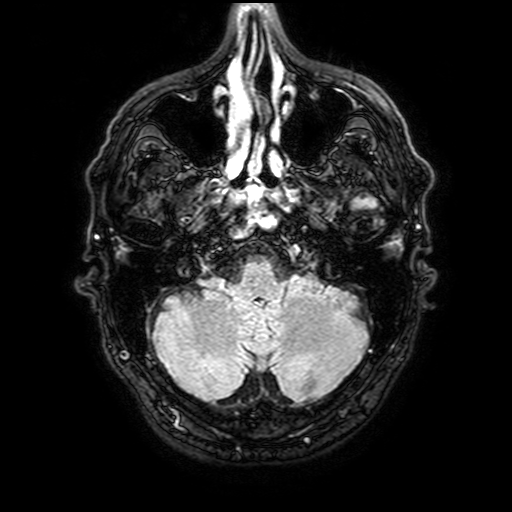
| field | value |
|---|---|
| modality | 3 Tesla brain MRI |
| series | FLAIR with SPAIR, 3 mm |
| study | ring-enhancing brain masses |